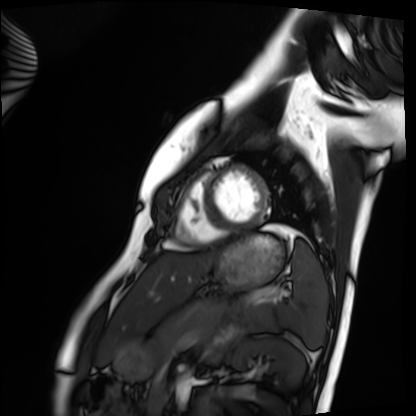
Cardiac MRI. Subject group: healthy volunteer.